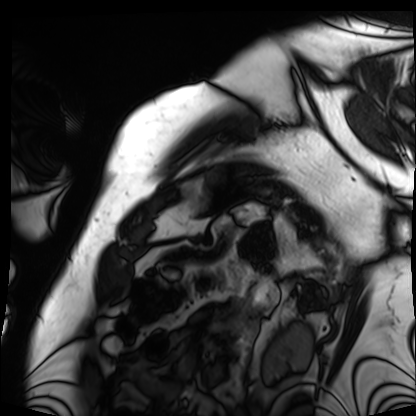
Summary:
Cardiac MRI. Subject group: patient.